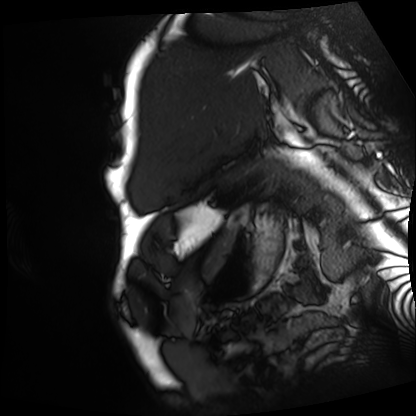
Cardiac MRI. Subject group: patient.